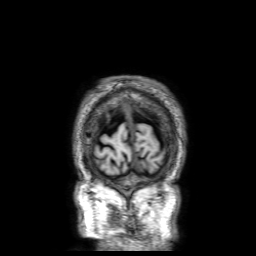
Case summary:
3 Tesla brain MRI. Series: 3D T1-weighted with SENSE. Study: ring-enhancing brain masses.